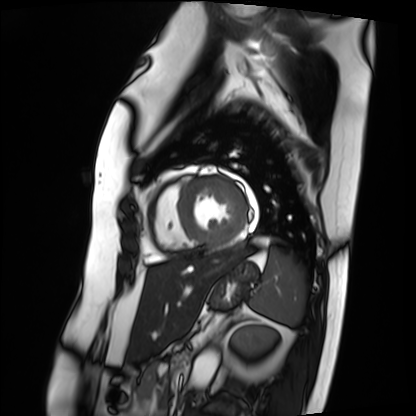
Q: What kind of scan is this?
A: Cardiac MRI.
Subject group: patient.